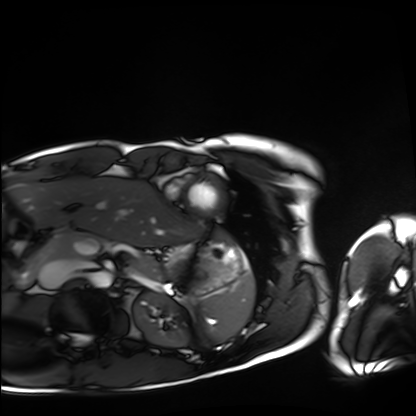
Summary: Cardiac MRI. Subject group: healthy volunteer.